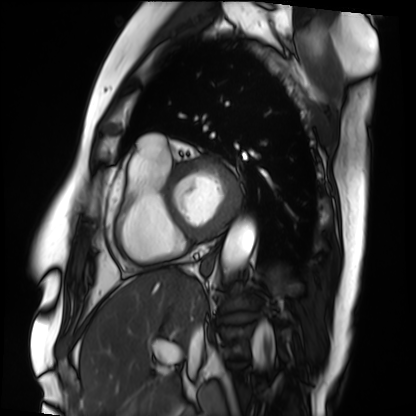
modality: cardiac MRI; subject group: patient.